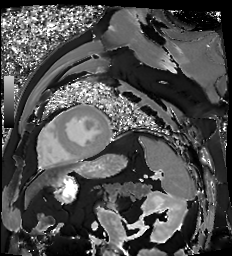
Cardiac MR image of the myocardium. Subject cohort: cardiac patient.